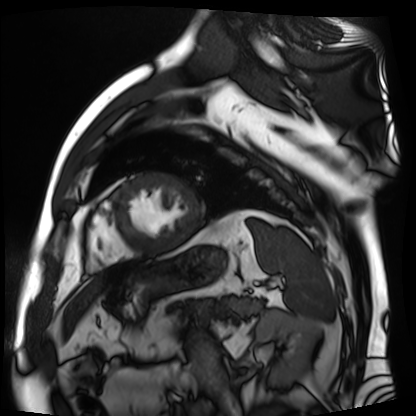
Cardiac MR image of the myocardium.
Subject cohort: cardiac patient.